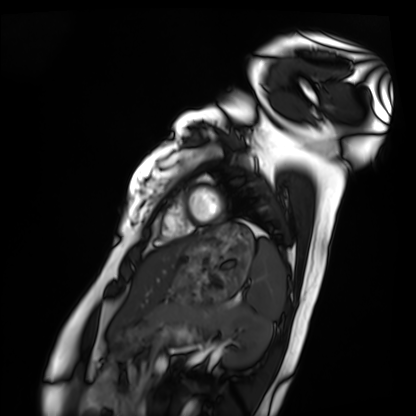
Cardiac MRI.
Subject group: healthy volunteer.